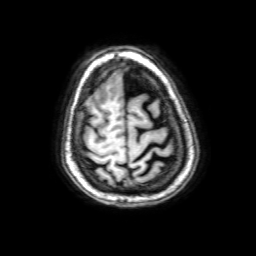
3 Tesla brain MRI. Series: 3D T1-weighted with SENSE. Study: ring-enhancing brain masses.